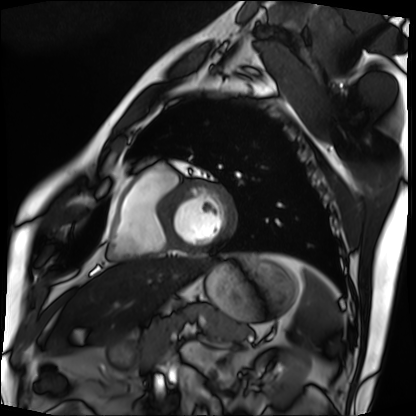
Clinical context: Cardiac MRI. Subject group: patient.